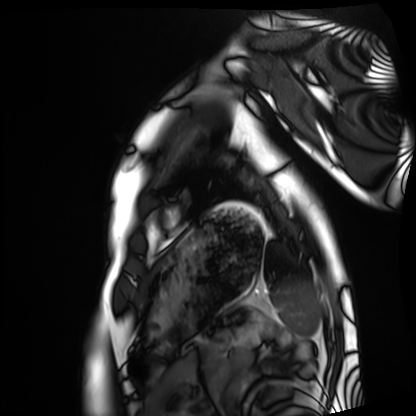
Clinical context:
Cardiac MRI. Subject group: healthy volunteer.